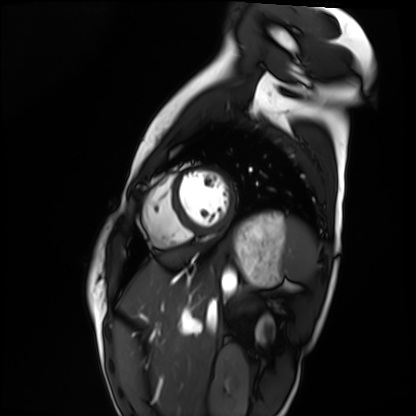
{"modality": "cardiac MRI", "cohort": "healthy volunteer"}